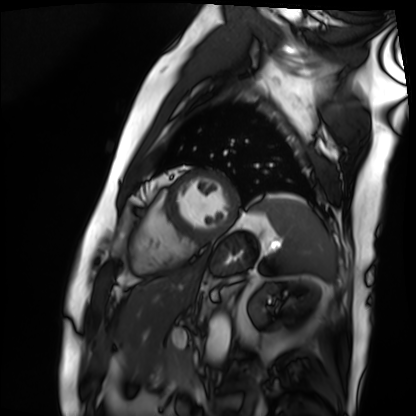
<record>
  <modality>cardiac MRI</modality>
  <cohort>patient</cohort>
</record>